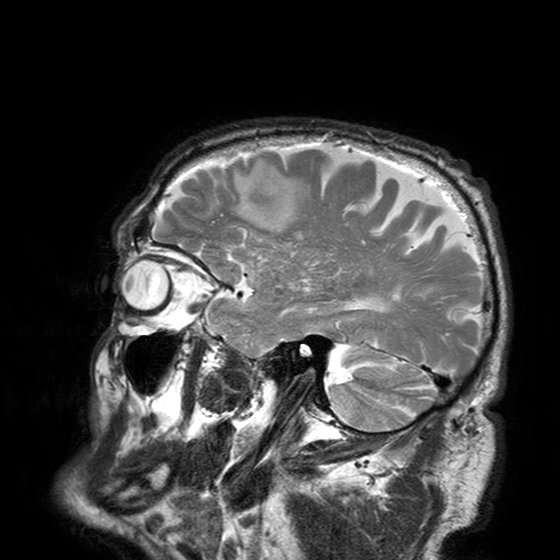
3 Tesla brain MRI. Series: T2-weighted turbo spin echo with SENSE. Study: ring-enhancing brain masses.